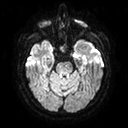
modality=3 Tesla brain MRI | series=diffusion tensor imaging (medium iso) | study=ring-enhancing brain masses.